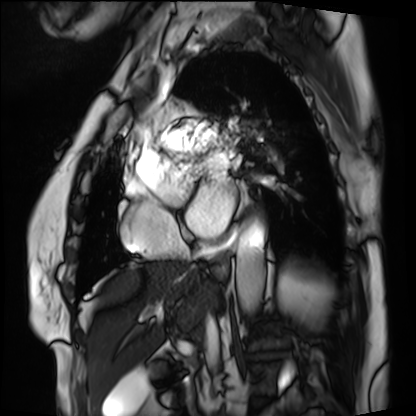
Cardiac MRI.
Subject group: patient.